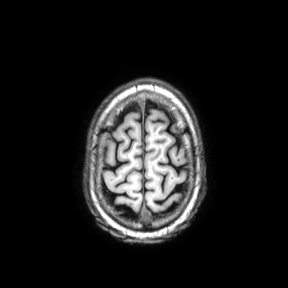
Summary: 3 Tesla brain MRI. Series: axial. Study: ring-enhancing brain masses.